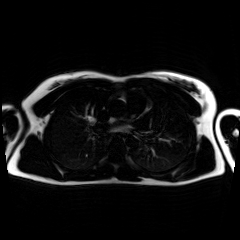
Clinical context: Chemical-shift-encoded cardiac MRI.